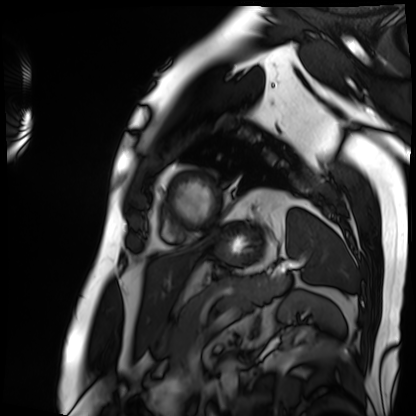
modality: cardiac MRI
subject group: patient